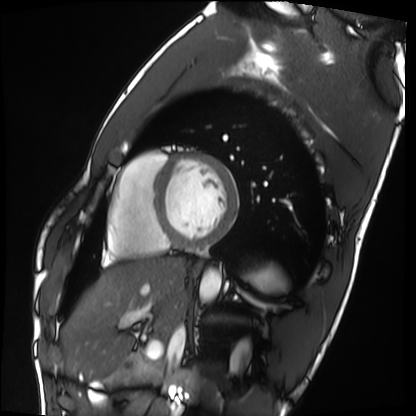
Clinical context: Cardiac MRI. Subject group: healthy volunteer.